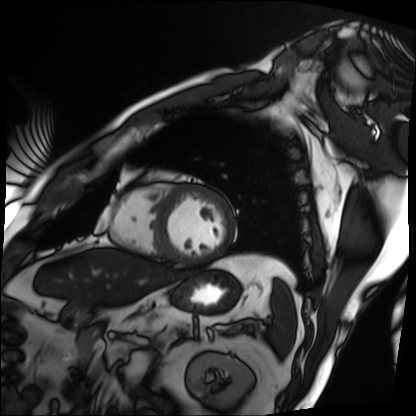
Summary: Cardiac MRI. Subject group: patient.